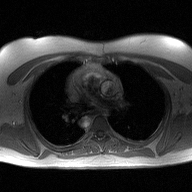
Case:
• modality · 2D phase-contrast cine MRI of the ascending aorta